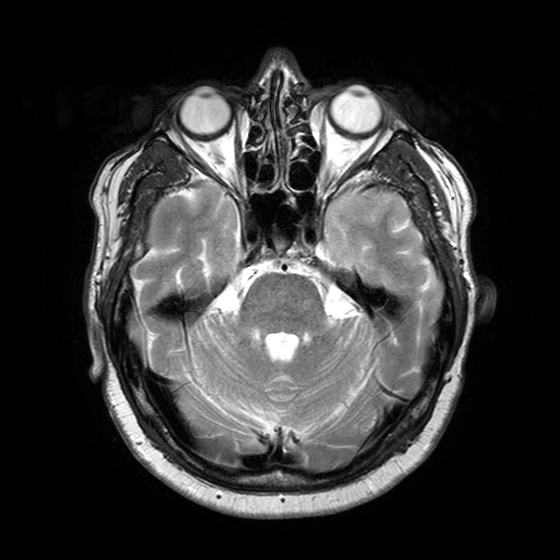
| field | value |
|---|---|
| modality | 3 Tesla brain MRI |
| series | T2-weighted turbo spin echo with SENSE |
| study | ring-enhancing brain masses |